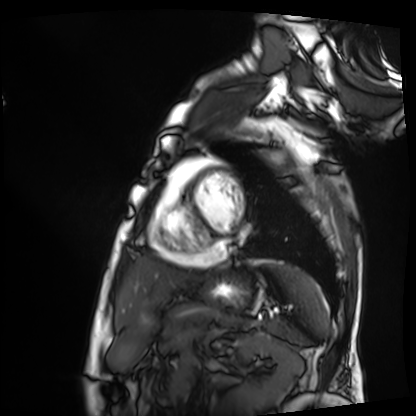
modality: cardiac MRI, subject group: patient.